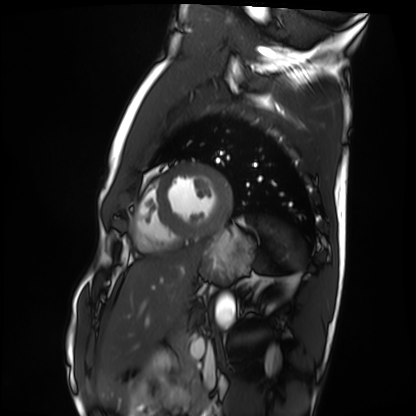
Cardiac MRI. Subject group: healthy volunteer.